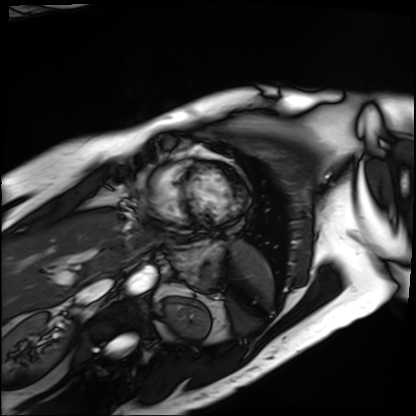
Cardiac MRI. Subject group: patient.